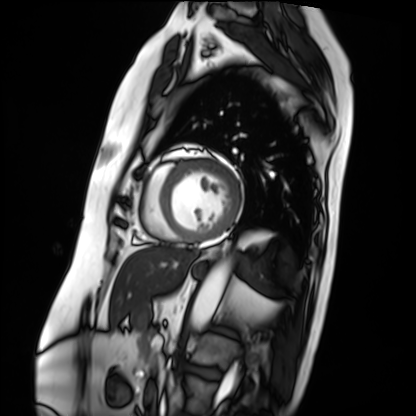
{
  "modality": "cardiac MRI",
  "cohort": "patient"
}